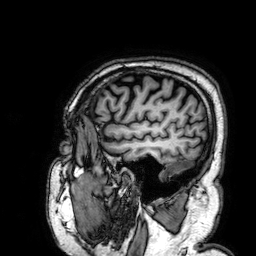
modality: 3 Tesla brain MRI; series: 3D T1-weighted; study: ring-enhancing brain masses.